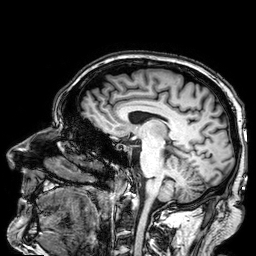
3 Tesla brain MRI. Series: 3D T1-weighted. Study: ring-enhancing brain masses.